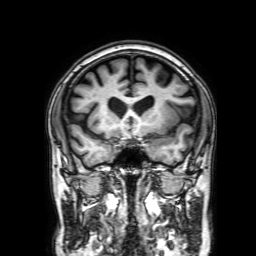
3 Tesla brain MRI.
Series: 3D T1-weighted with SENSE.
Study: ring-enhancing brain masses.